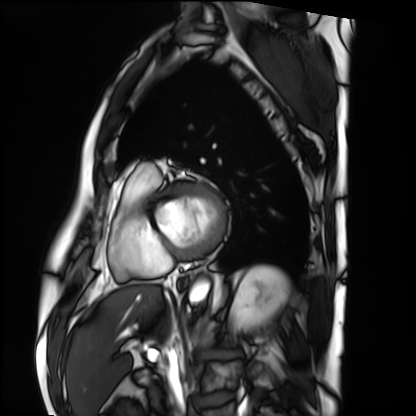
Cardiac MRI.
Subject group: patient.